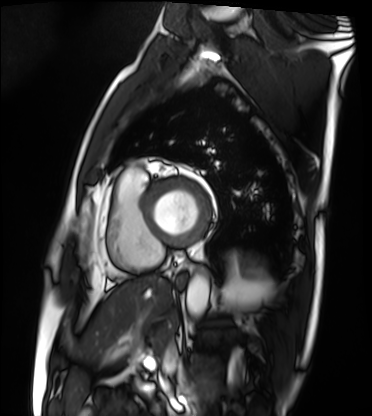
Q: What kind of scan is this?
A: Cardiac MRI.
Subject group: patient.